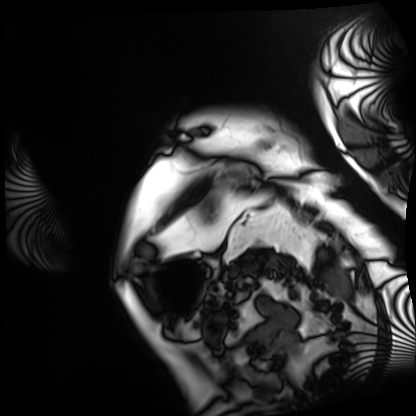
Cardiac MRI.
Subject group: patient.